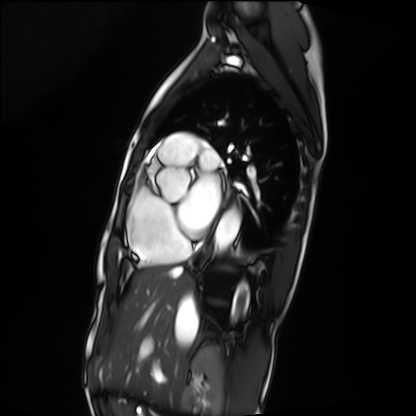
Cardiac MRI.
Subject group: patient.